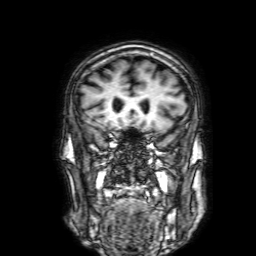
Case summary:
3 Tesla brain MRI. Series: 3D T1-weighted with SENSE. Study: ring-enhancing brain masses.